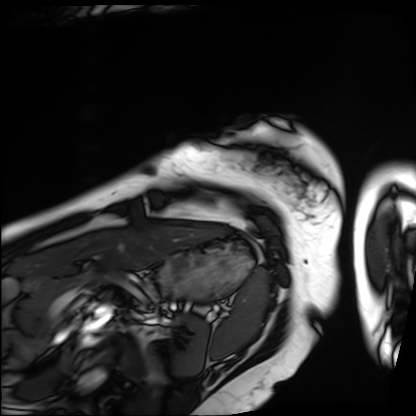
modality: cardiac MRI; subject group: patient.